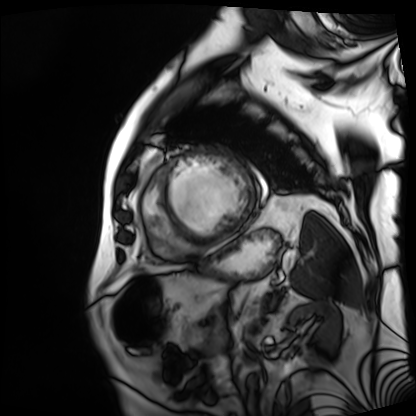
modality = cardiac MRI, subject group = patient.